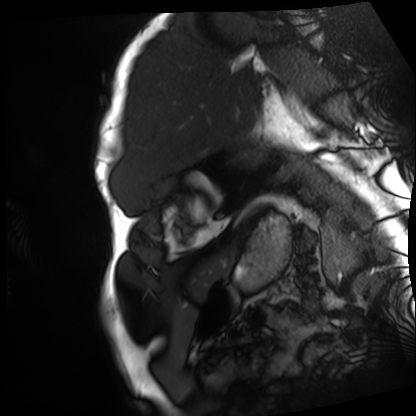
Cardiac MRI. Subject group: patient.